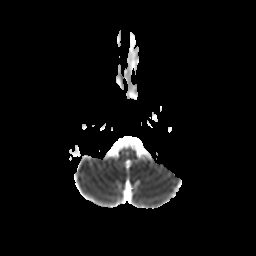
Case:
– modality: 3 Tesla brain MRI
– series: diffusion-weighted imaging with CLEAR
– study: ring-enhancing brain masses